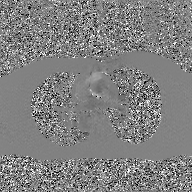
modality:
  type: 2D phase-contrast cine MRI
  region: ascending aorta
  reconstruction: GAN super-resolution reconstruction